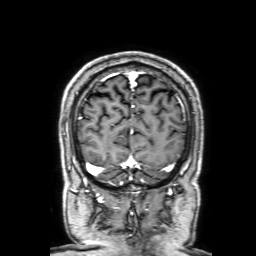
Summary:
3 Tesla brain MRI. Series: 3D T1-weighted with SENSE. Study: ring-enhancing brain masses.